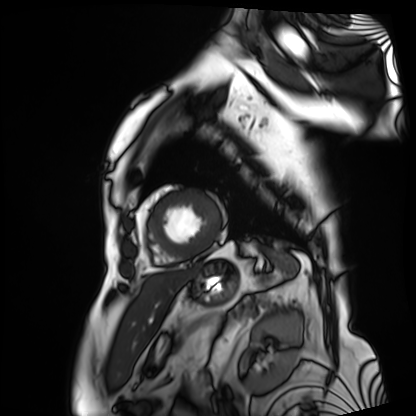
Q: What kind of scan is this?
A: Cardiac MRI.
Subject group: patient.